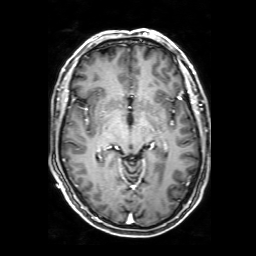
Clinical context: 3 Tesla brain MRI. Series: 3D T1-weighted with SENSE. Study: ring-enhancing brain masses.